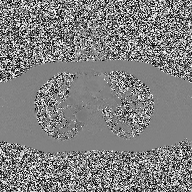
Summary: 2D phase-contrast cine MRI of the ascending aorta, high-resolution GRAPPA acquisition.